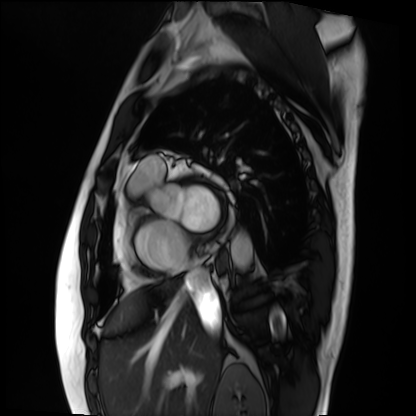
modality — cardiac MRI
subject group — patient